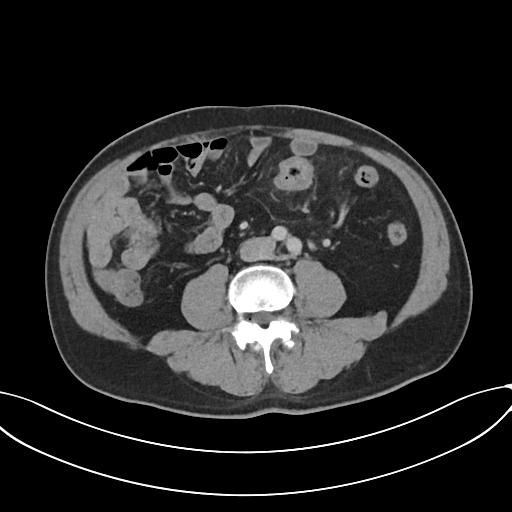
Case summary: Multiphase abdominal CT, liver, portal venous phase. Patient: male, age 58.